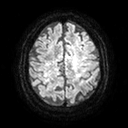
3 Tesla brain MRI. Series: diffusion tensor imaging (medium iso). Study: ring-enhancing brain masses.